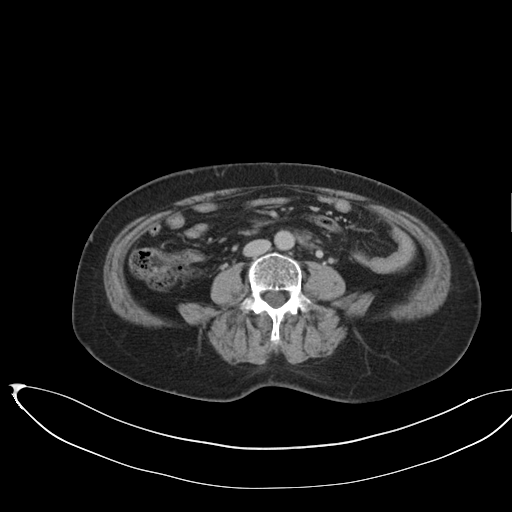
{
  "modality": {
    "type": "multiphase abdominal CT",
    "region": "liver",
    "phase": "delayed"
  },
  "patient": {
    "sex": "female",
    "age": 58
  }
}